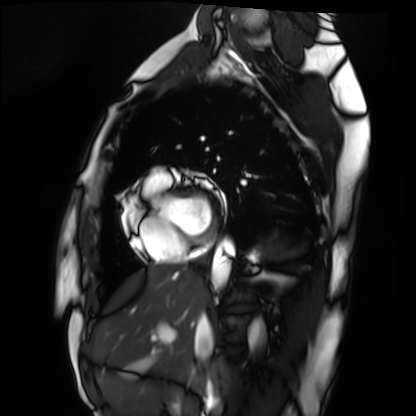
modality = cardiac MRI; subject group = healthy volunteer.